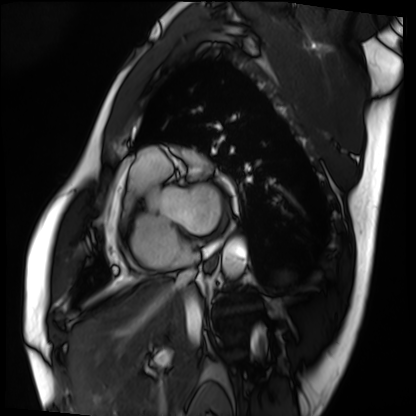
Q: What kind of scan is this?
A: Cardiac MRI.
Subject group: patient.